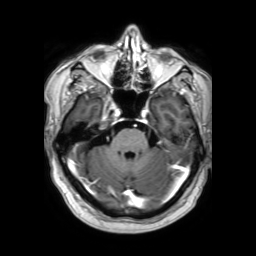
modality: 3 Tesla brain MRI; series: 3D T1-weighted TFE with SENSE; study: ring-enhancing brain masses.